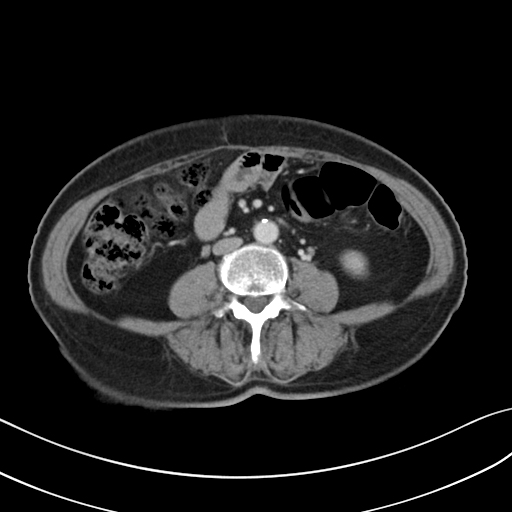
Multiphase abdominal CT, liver, portal venous phase.
Patient: female, age 65.